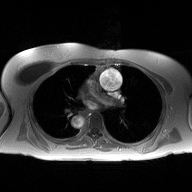
2D phase-contrast cine MRI of the ascending aorta, high-resolution GRAPPA acquisition.